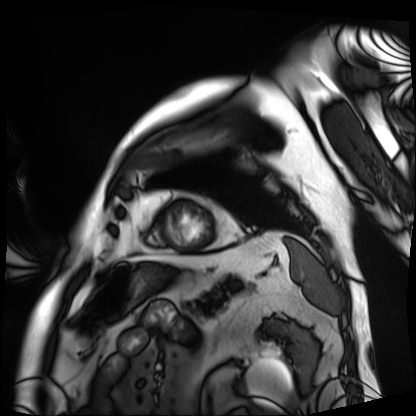
<study>
  <modality>cardiac MRI</modality>
  <cohort>patient</cohort>
</study>